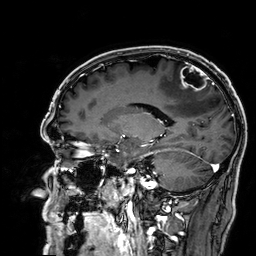
Summary:
3 Tesla brain MRI. Series: 3D T1-weighted. Study: ring-enhancing brain masses.